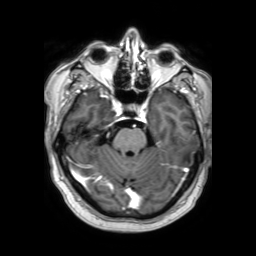
<study>
  <modality>
    <type>brain MRI</type>
    <field_strength>3T</field_strength>
  </modality>
  <series>3D T1-weighted TFE with SENSE</series>
  <study_topic>ring-enhancing brain masses</study_topic>
</study>